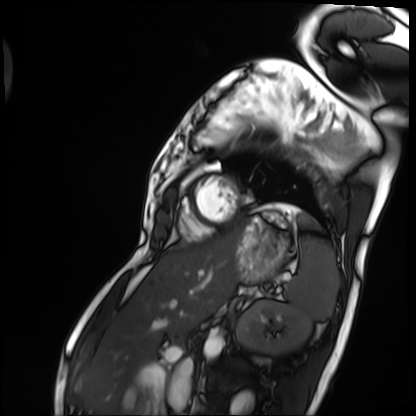
{"modality": "cardiac MRI", "cohort": "patient"}